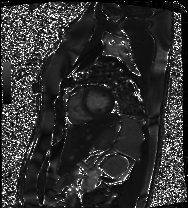
Cardiac MRI. Subject group: patient.